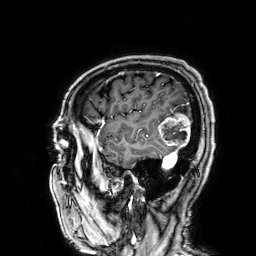
{"modality": {"type": "brain MRI", "field_strength": "3T"}, "series": "3D T1-weighted", "study_topic": "ring-enhancing brain masses"}